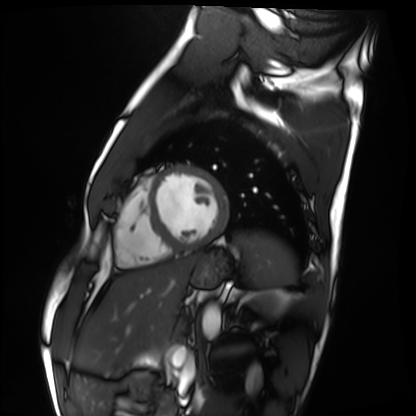
Summary: Cardiac MRI. Subject group: healthy volunteer.